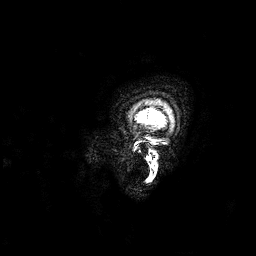
<record>
  <modality>
    <type>brain MRI</type>
    <field_strength>3T</field_strength>
  </modality>
  <series>3D T1-weighted</series>
  <study_topic>ring-enhancing brain masses</study_topic>
</record>